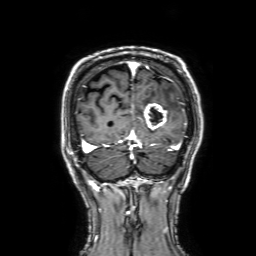
Clinical context: 3 Tesla brain MRI. Series: 3D T1-weighted with SENSE. Study: ring-enhancing brain masses.